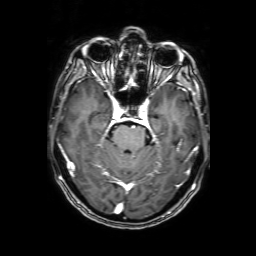
modality = 3 Tesla brain MRI; series = 3D T1-weighted with SENSE; study = ring-enhancing brain masses.